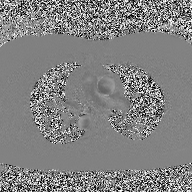
2D phase-contrast cine MRI of the ascending aorta, high-resolution GRAPPA acquisition.